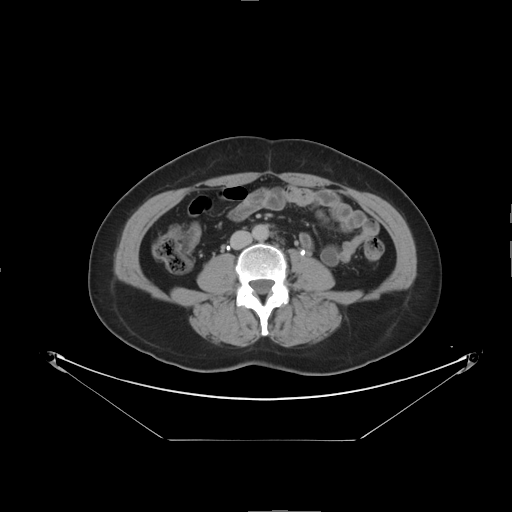
Multiphase abdominal CT, liver, delayed phase. Patient: female, age 56.